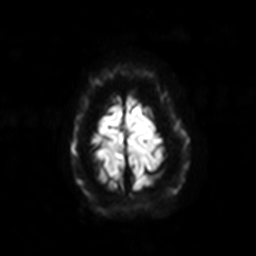
3 Tesla brain MRI. Series: diffusion-weighted imaging with SENSE (WIP). Study: ring-enhancing brain masses.